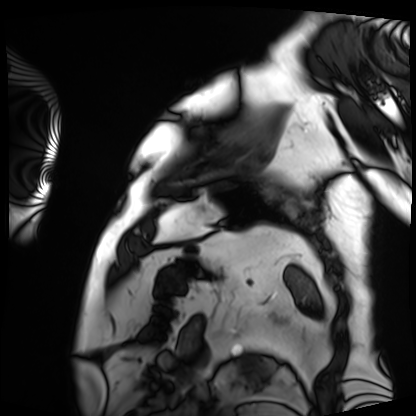
Summary:
Cardiac MRI. Subject group: patient.